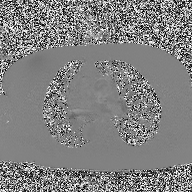
2D phase-contrast cine MRI of the ascending aorta, high-resolution GRAPPA acquisition.